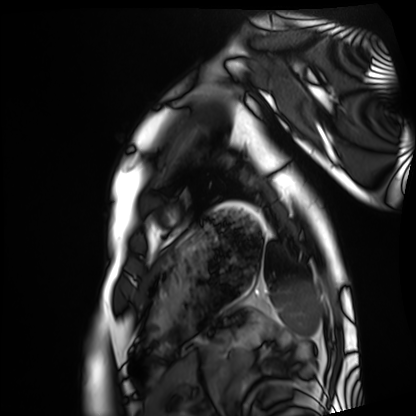
Cardiac MRI.
Subject group: healthy volunteer.